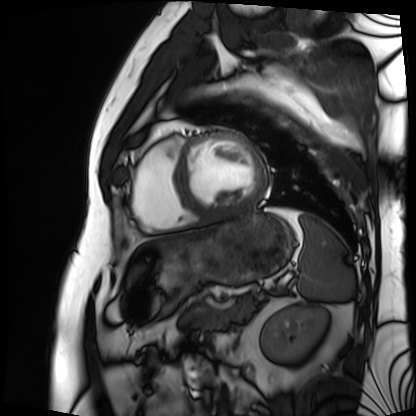
Cardiac MRI.
Subject group: patient.